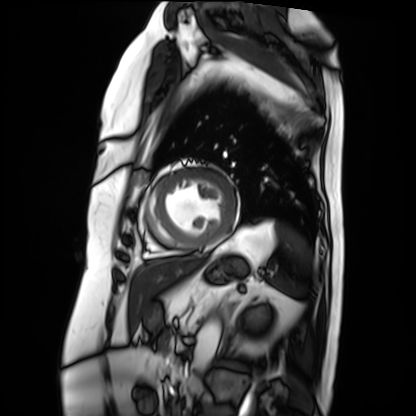
Cardiac MRI. Subject group: patient.